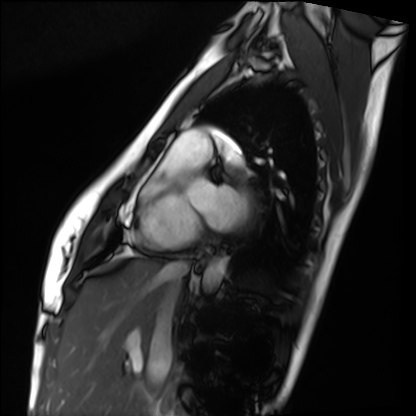
modality=cardiac MRI
subject group=healthy volunteer